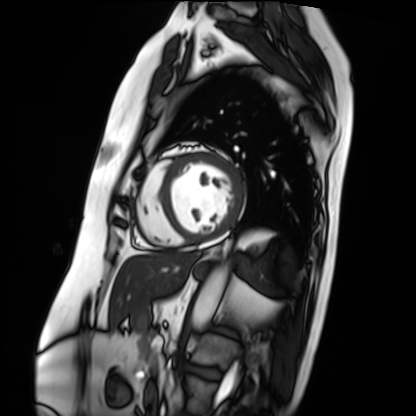
{
  "modality": "cardiac MRI",
  "cohort": "patient"
}